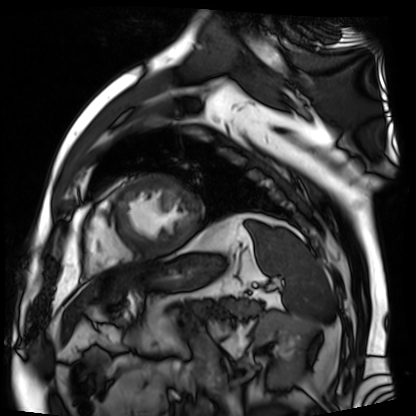
modality: cardiac MR image of the myocardium, subject cohort: cardiac patient.